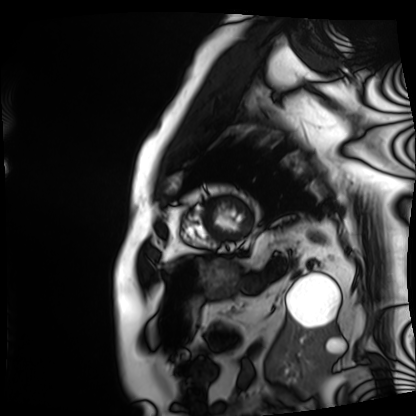
Clinical context:
Cardiac MRI. Subject group: patient.